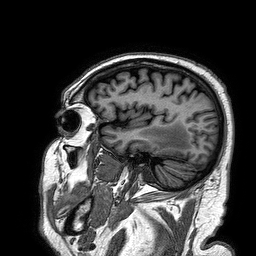
3 Tesla brain MRI.
Series: 3D T1-weighted turbo field echo.
Study: ring-enhancing brain masses.